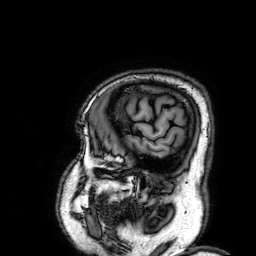
modality:
  type: brain MRI
  field_strength: 3T
series: 3D T1-weighted
study_topic: ring-enhancing brain masses